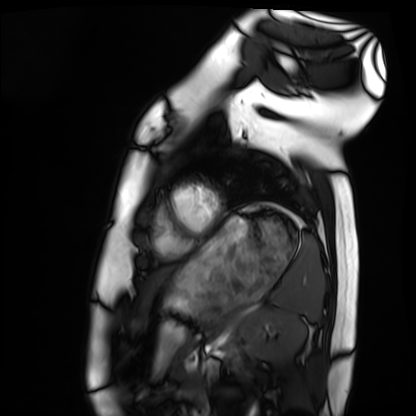
Q: What kind of scan is this?
A: Cardiac MRI.
Subject group: healthy volunteer.